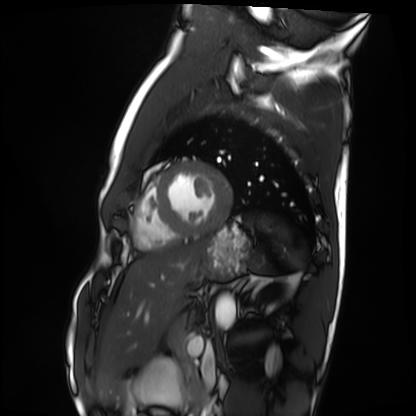
Cardiac MRI.
Subject group: healthy volunteer.